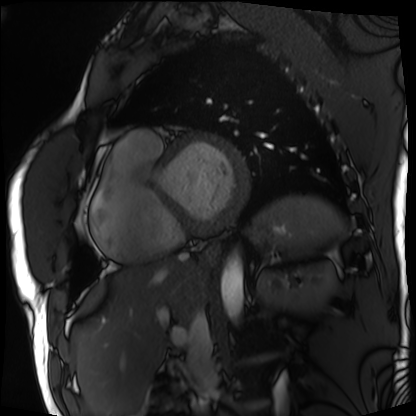
Cardiac MRI. Subject group: patient.